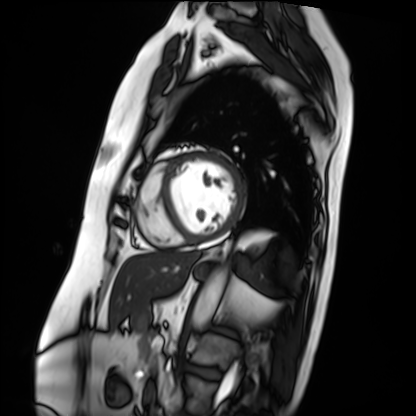
Case:
– modality: cardiac MRI
– subject group: patient